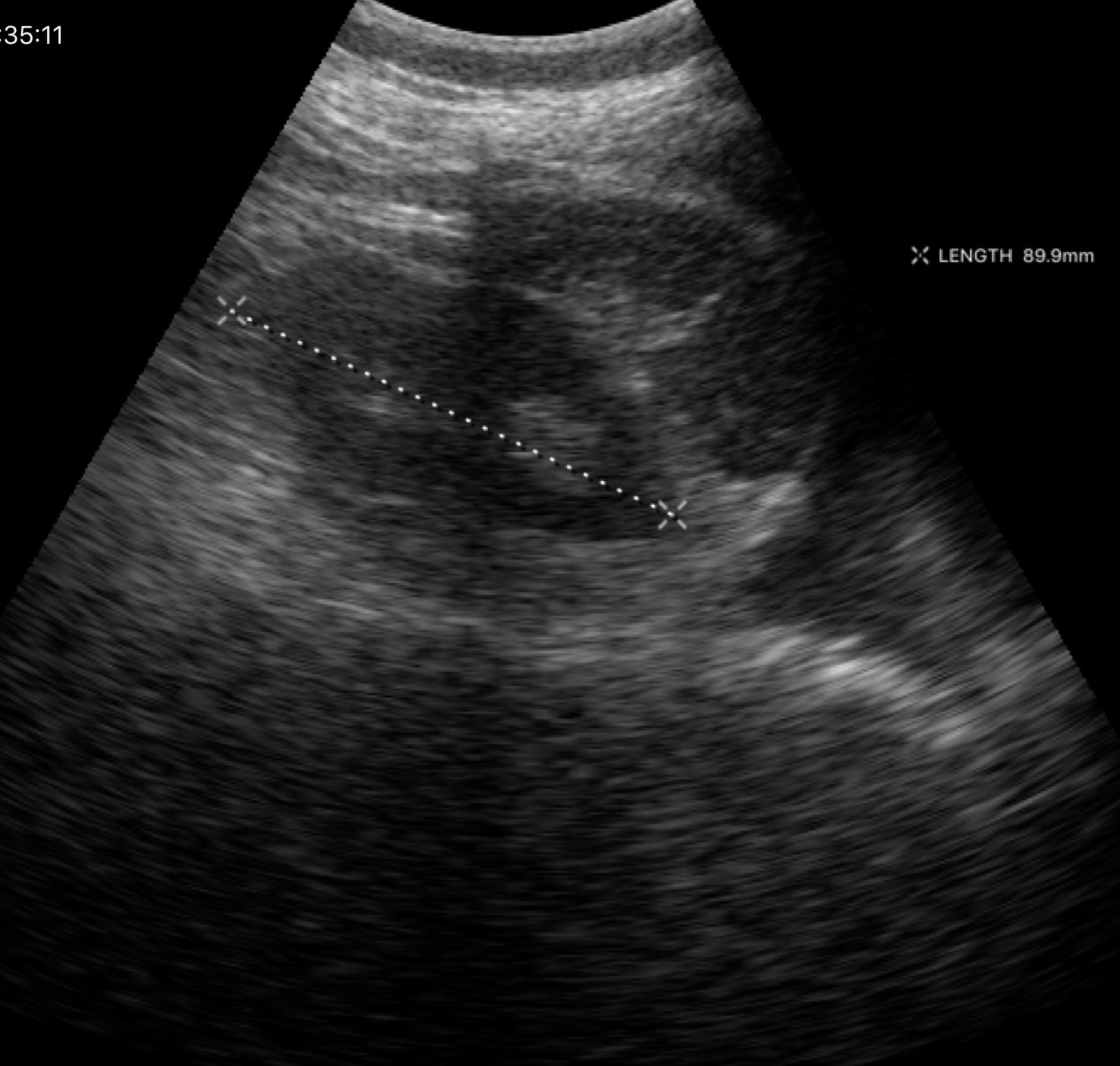
– modality — genitourinary ultrasound